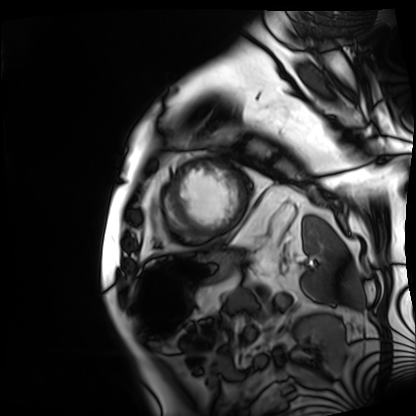
* modality: cardiac MRI
* subject group: patient